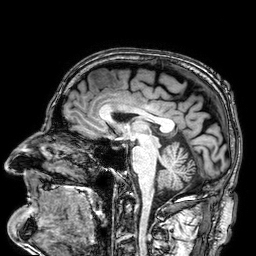
modality — 3 Tesla brain MRI
series — 3D T1-weighted
study — ring-enhancing brain masses